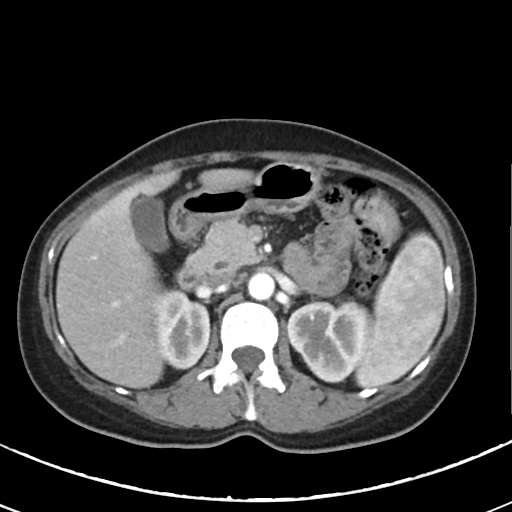
- modality: multiphase abdominal CT, liver, arterial phase
- patient: female, age 46